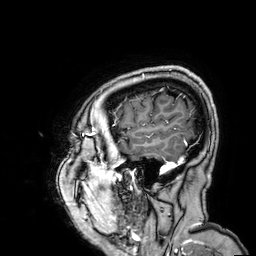
Case summary:
3 Tesla brain MRI. Series: 3D T1-weighted. Study: ring-enhancing brain masses.